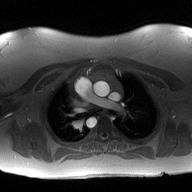
modality: 2D phase-contrast cine MRI of the ascending aorta